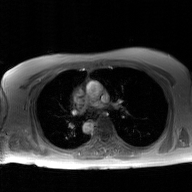
  modality:
    type: 2D phase-contrast cine MRI
    region: ascending aorta
    reconstruction: GAN super-resolution reconstruction